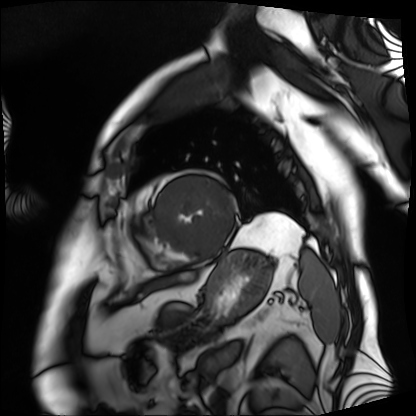
Cardiac MRI. Subject group: patient.